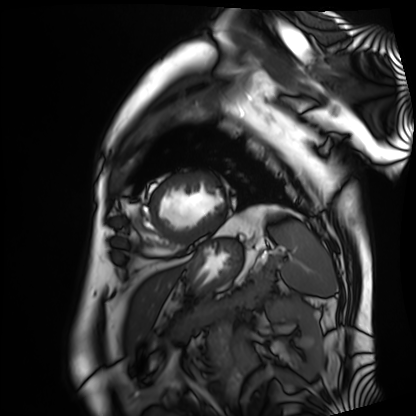
Cardiac MRI.
Subject group: patient.